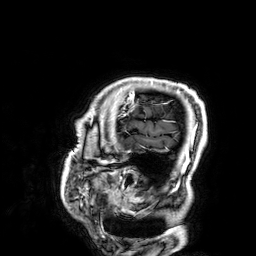
3 Tesla brain MRI.
Series: 3D T1-weighted.
Study: ring-enhancing brain masses.